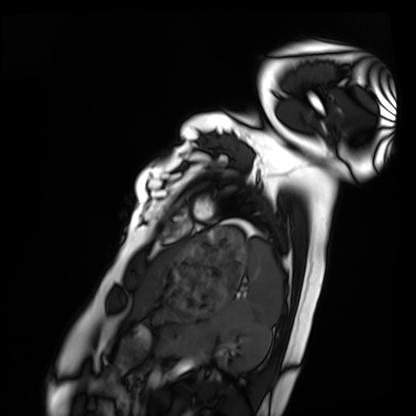
Cardiac MRI.
Subject group: healthy volunteer.